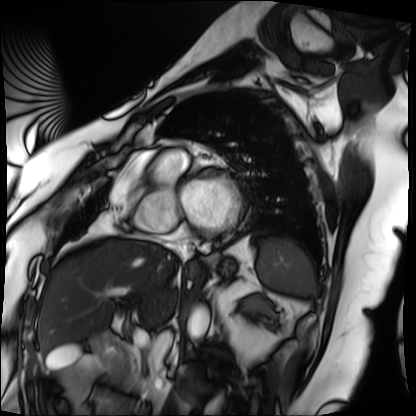
modality = cardiac MRI
subject group = patient